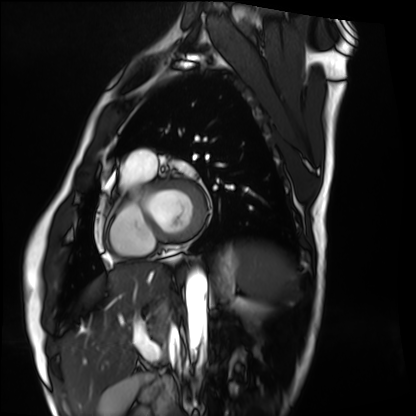
Case:
– modality — cardiac MRI
– subject group — healthy volunteer